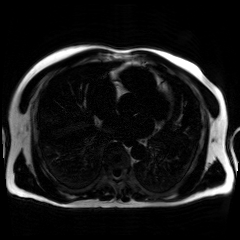
Chemical-shift-encoded cardiac MRI.